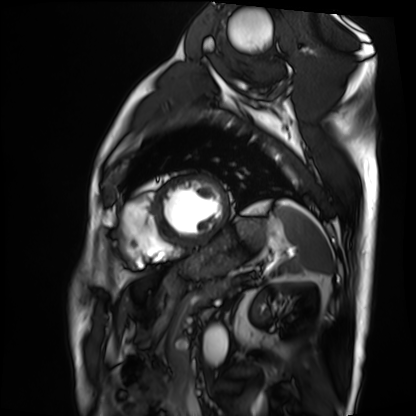
• modality · cardiac MRI
• subject group · patient